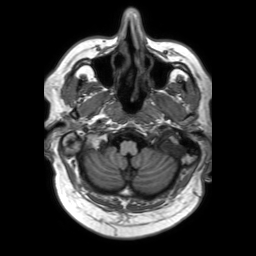
<case>
<modality>
  <type>brain MRI</type>
  <field_strength>3T</field_strength>
</modality>
<series>3D T1-weighted TFE with SENSE</series>
<study_topic>ring-enhancing brain masses</study_topic>
</case>